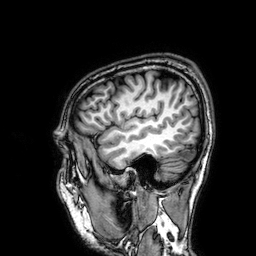
3 Tesla brain MRI.
Series: 3D T1-weighted.
Study: ring-enhancing brain masses.